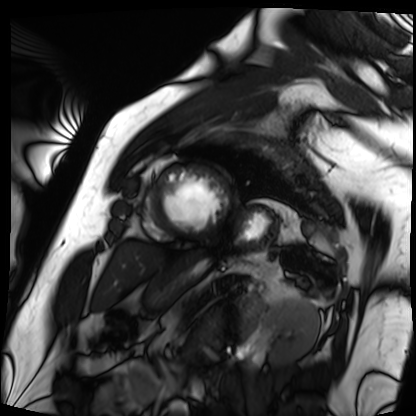
Cardiac MRI. Subject group: patient.